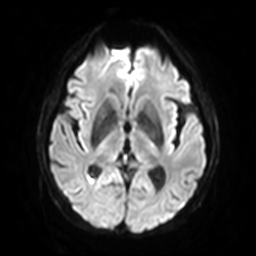
Summary: 3 Tesla brain MRI. Series: diffusion-weighted imaging with SENSE (WIP). Study: ring-enhancing brain masses.